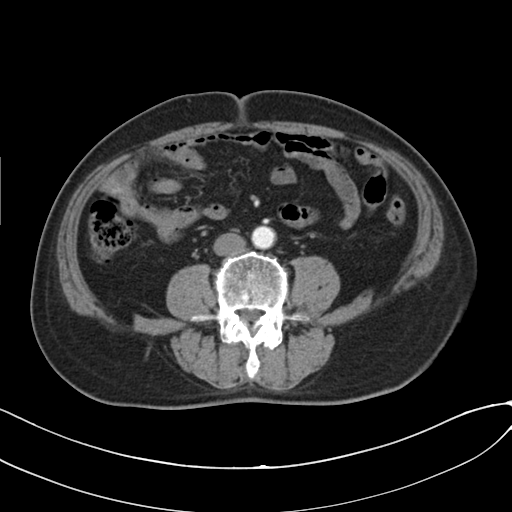
modality = multiphase abdominal CT, liver, arterial phase
patient = male, age 73
history = cirrhosis, viral hepatitis